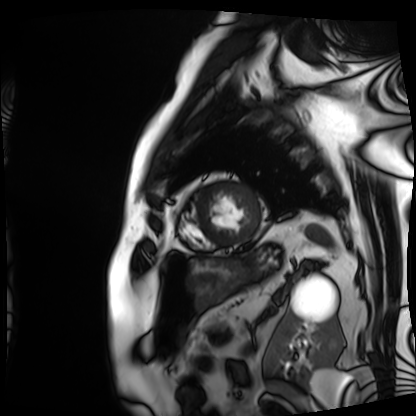
Cardiac MRI. Subject group: patient.